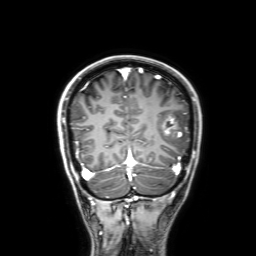
3 Tesla brain MRI. Series: 3D T1-weighted with SENSE. Study: ring-enhancing brain masses.